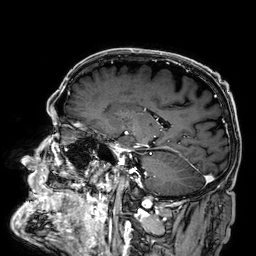
| field | value |
|---|---|
| modality | 3 Tesla brain MRI |
| series | 3D T1-weighted |
| study | ring-enhancing brain masses |